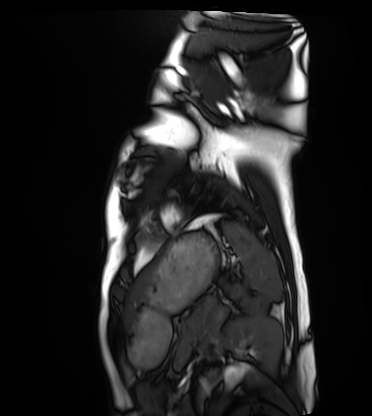
Q: What kind of scan is this?
A: Cardiac MRI.
Subject group: healthy volunteer.